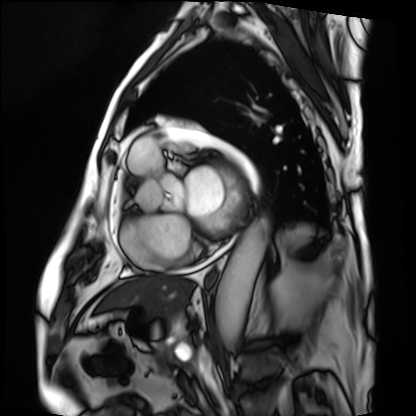
modality = cardiac MRI; subject group = patient.